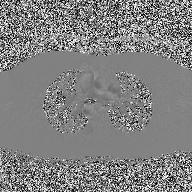
modality: 2D phase-contrast cine MRI of the ascending aorta.